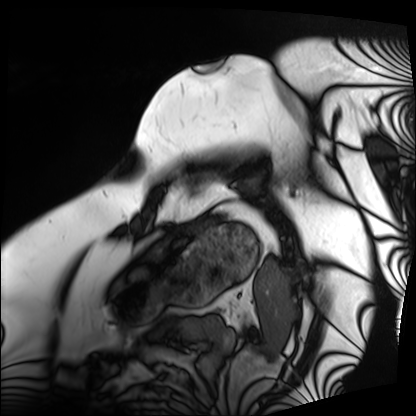
Case summary: Cardiac MRI. Subject group: patient.